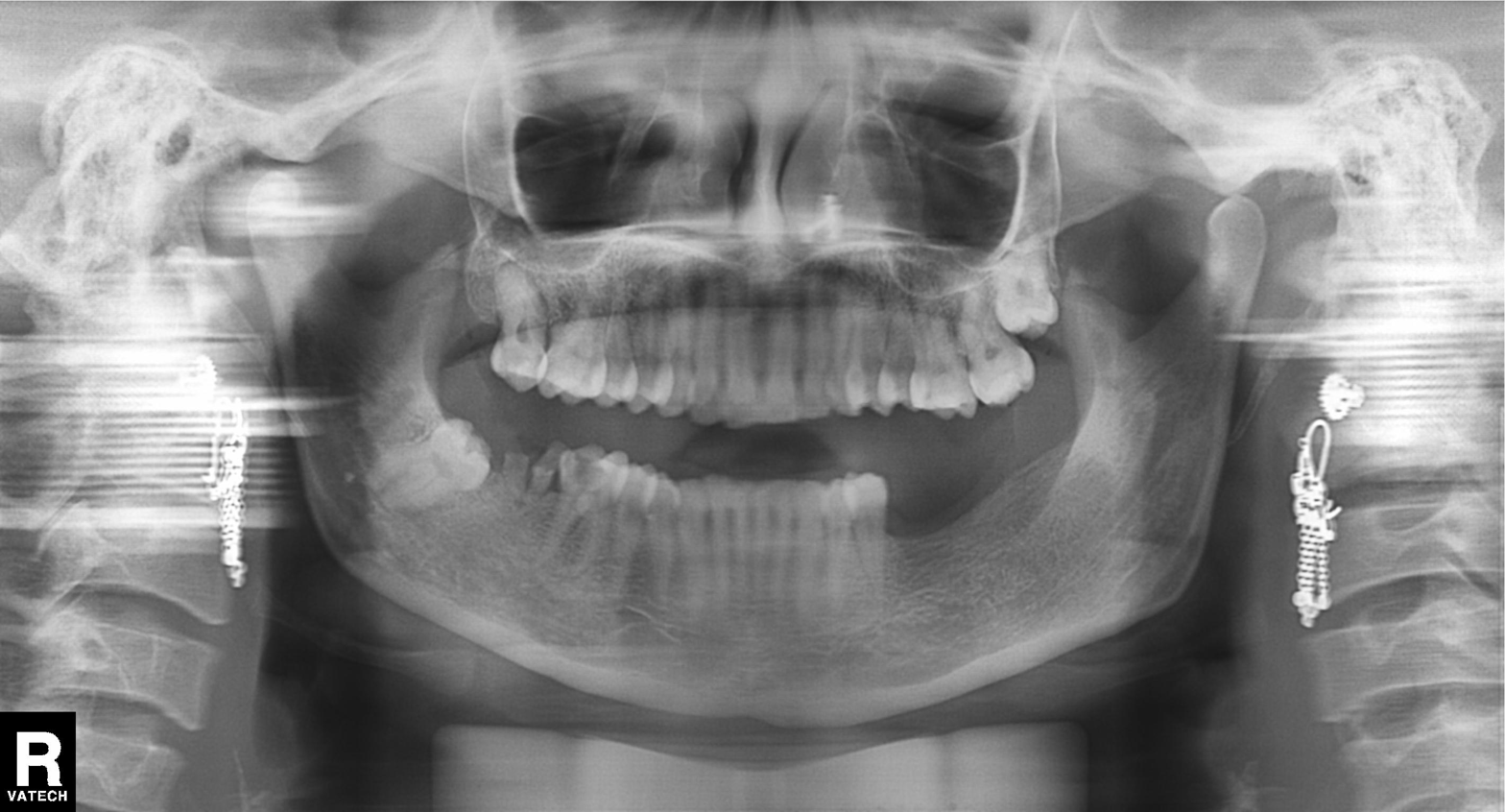
<case>
  <modality>panoramic dental radiograph (orthopantomogram)</modality>
  <finding>alveolar bone loss</finding>
</case>